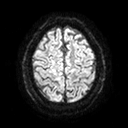
3 Tesla brain MRI. Series: diffusion tensor imaging (medium iso). Study: ring-enhancing brain masses.